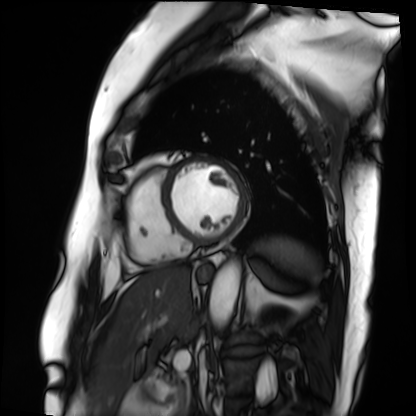
Case summary: Cardiac MRI. Subject group: patient.